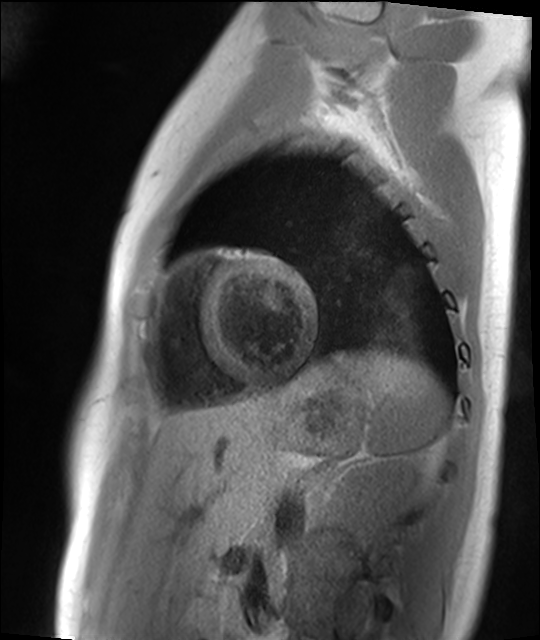
Summary:
Cardiac MR image of the myocardium. Subject cohort: healthy volunteer.